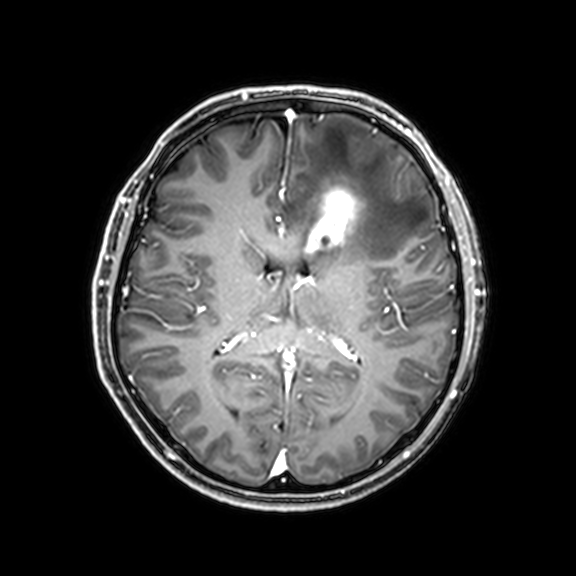
Case summary:
3 Tesla brain MRI. Series: 3D T1-weighted with CLEAR. Study: ring-enhancing brain masses.